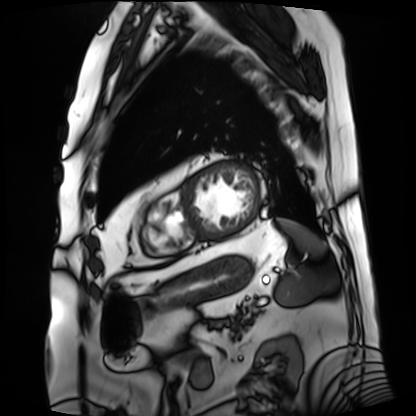
modality: cardiac MRI
subject group: patient